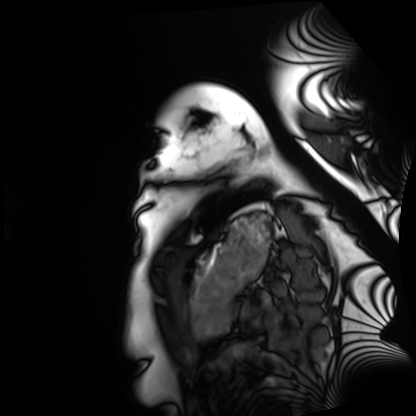
Cardiac MRI. Subject group: healthy volunteer.